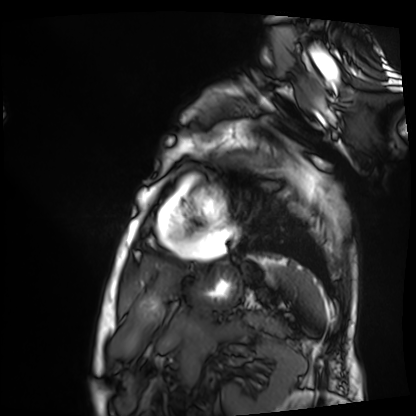
{
  "modality": "cardiac MRI",
  "cohort": "patient"
}